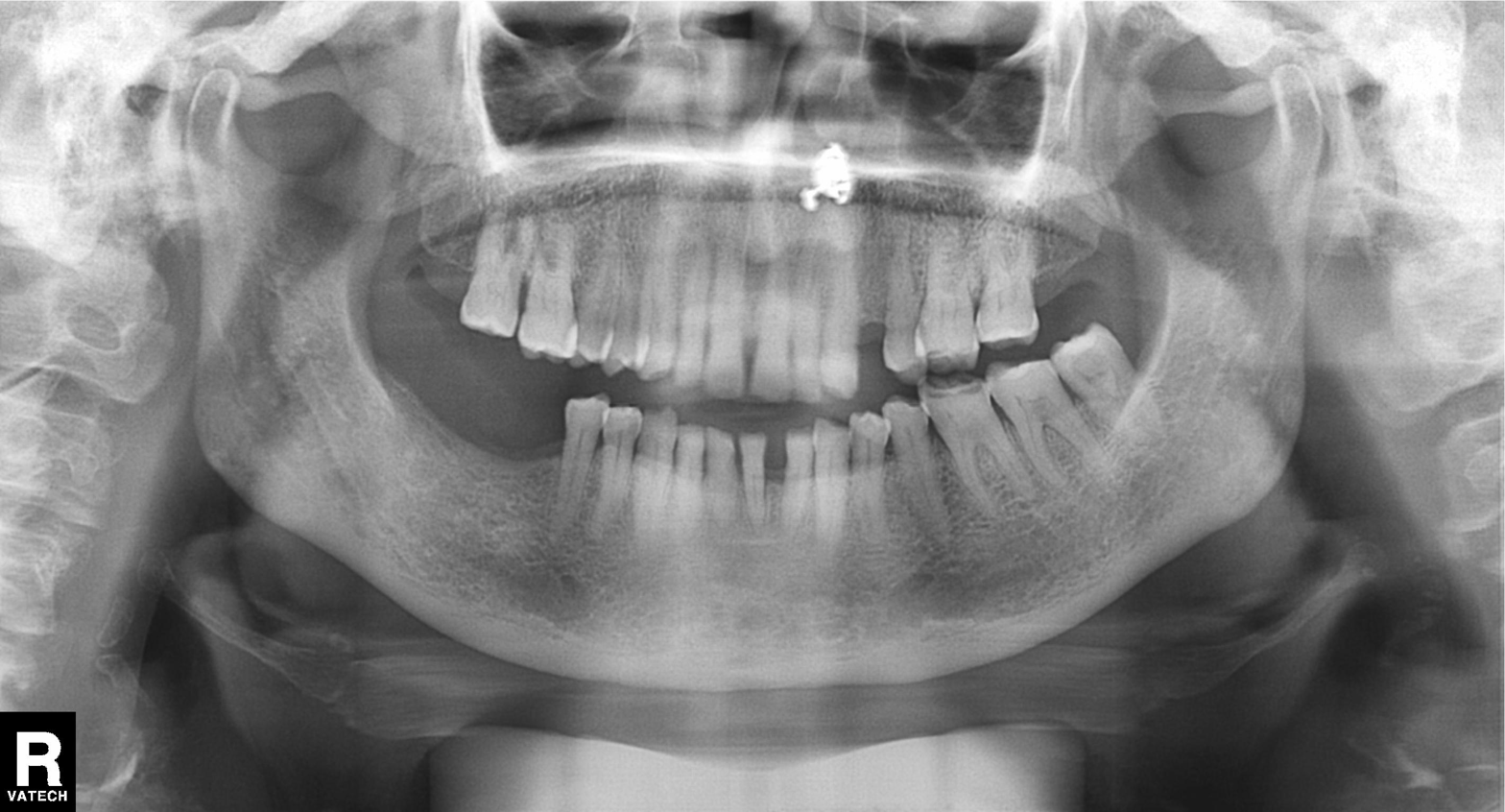
Panoramic dental radiograph (orthopantomogram).
Finding: tooth impaction.